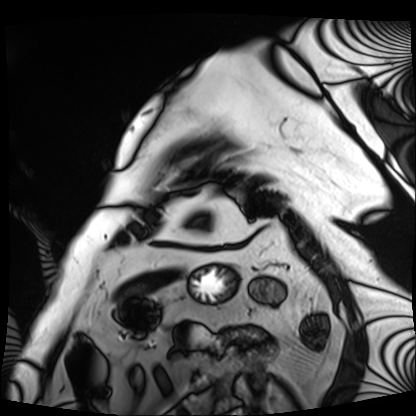
Q: What kind of scan is this?
A: Cardiac MRI.
Subject group: patient.